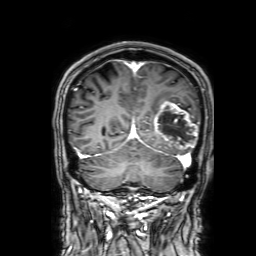
modality = 3 Tesla brain MRI; series = 3D T1-weighted with SENSE; study = ring-enhancing brain masses.